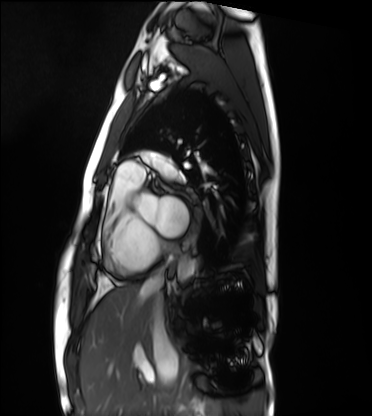
Cardiac MRI. Subject group: healthy volunteer.